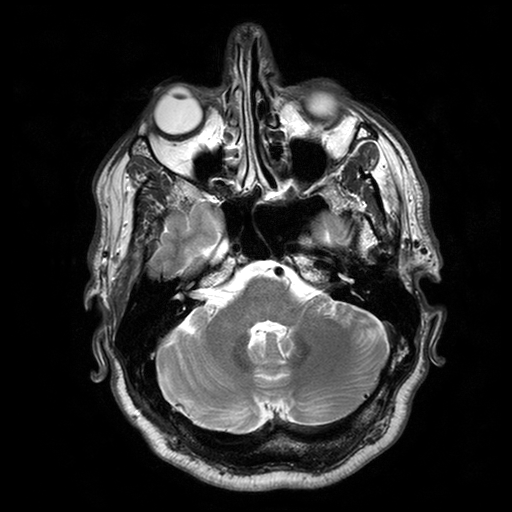
Case:
* modality: 3 Tesla brain MRI
* series: T2-weighted turbo spin echo with SENSE
* study: ring-enhancing brain masses